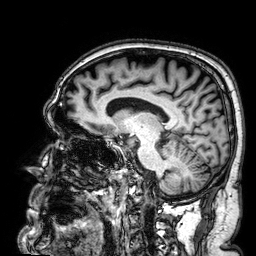
Case summary:
3 Tesla brain MRI. Series: 3D T1-weighted. Study: ring-enhancing brain masses.